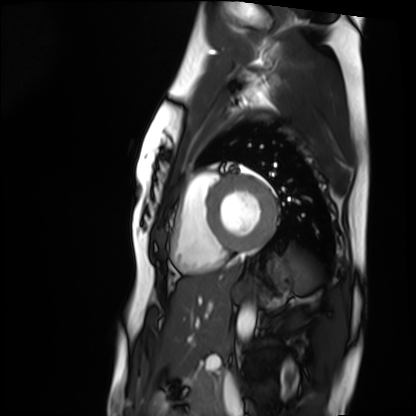
modality: cardiac MRI | subject group: healthy volunteer.